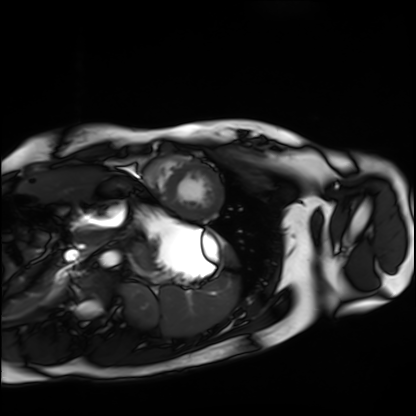
Summary: Cardiac MRI. Subject group: healthy volunteer.